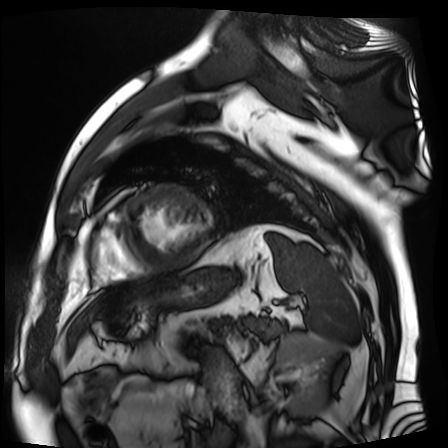
• modality: cardiac MR image of the myocardium
• subject cohort: cardiac patient